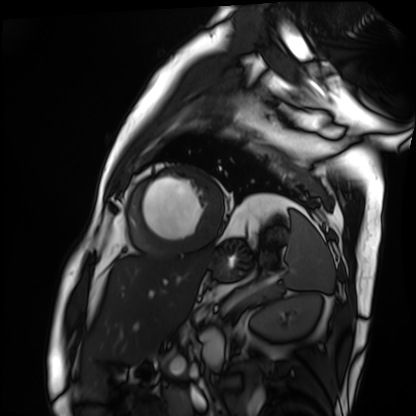
modality: cardiac MRI
cohort: patient